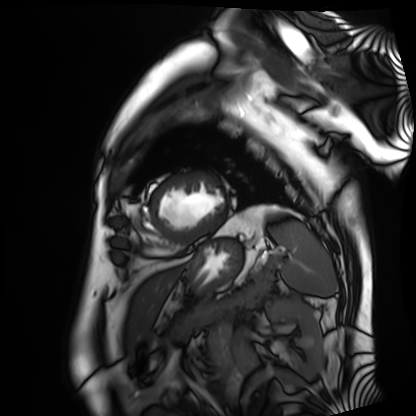
Summary: Cardiac MRI. Subject group: patient.